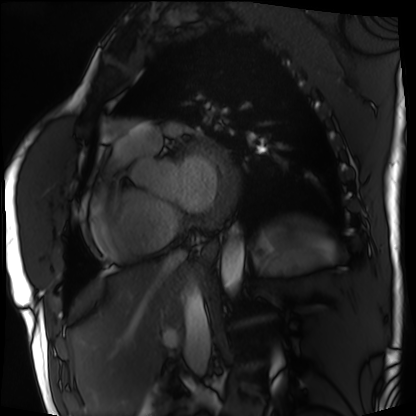
{"modality": "cardiac MRI", "cohort": "patient"}